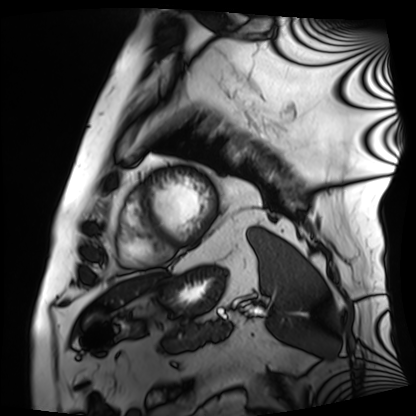
Cardiac MRI. Subject group: patient.